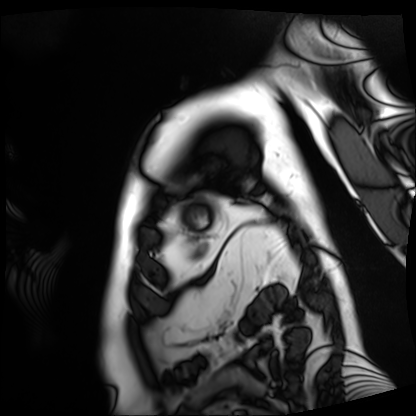
Case summary:
Cardiac MRI. Subject group: patient.